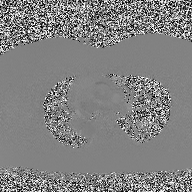
2D phase-contrast cine MRI of the ascending aorta, high-resolution GRAPPA acquisition.